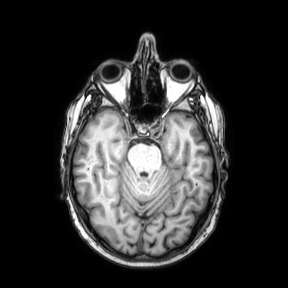
3 Tesla brain MRI. Series: axial. Study: ring-enhancing brain masses.